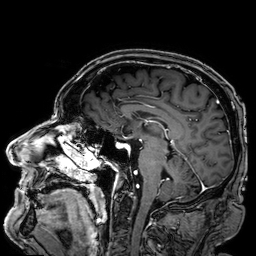
Summary:
3 Tesla brain MRI. Study: ring-enhancing brain masses.